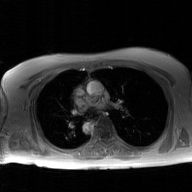
2D phase-contrast cine MRI of the ascending aorta, GAN super-resolution reconstruction.